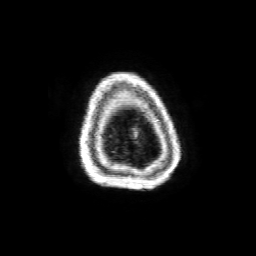
• modality: 3 Tesla brain MRI
• series: 3D T1-weighted with SENSE
• study: ring-enhancing brain masses